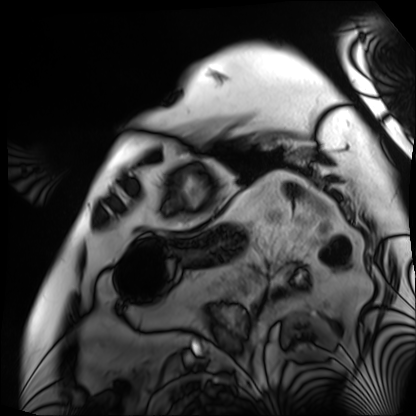
Case:
* modality: cardiac MRI
* subject group: patient